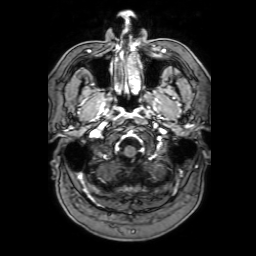
3 Tesla brain MRI. Series: 3D T1-weighted with SENSE. Study: ring-enhancing brain masses.